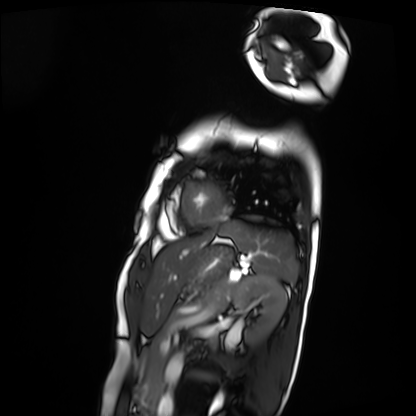
- modality · cardiac MRI
- subject group · patient